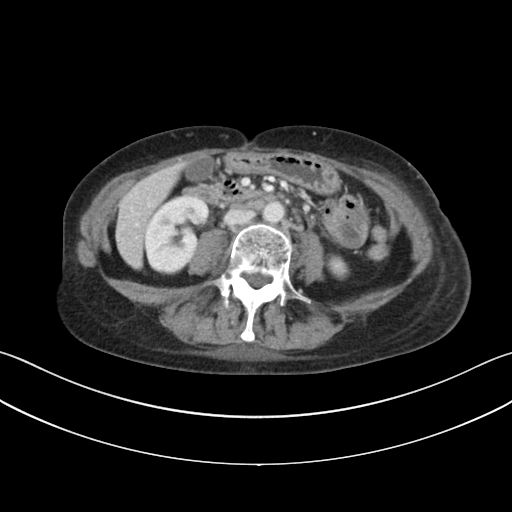
Summary: Multiphase abdominal CT, liver, portal venous phase. Patient: female, age 51. History: prior chemotherapy.